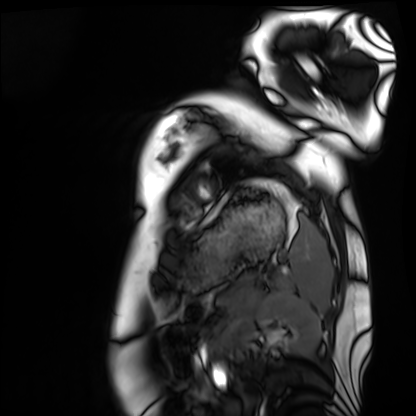
Q: What kind of scan is this?
A: Cardiac MRI.
Subject group: healthy volunteer.